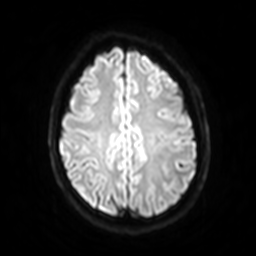
Q: What kind of scan is this?
A: 3 Tesla brain MRI.
Q: Series?
A: Diffusion-weighted imaging with SENSE (WIP).
Study: ring-enhancing brain masses.